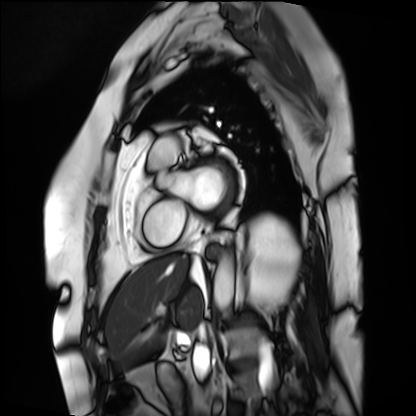
Cardiac MRI. Subject group: patient.